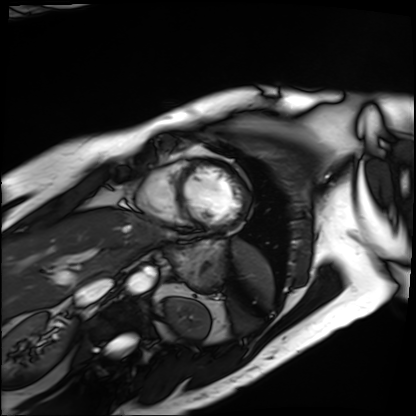
Summary:
Cardiac MRI. Subject group: patient.